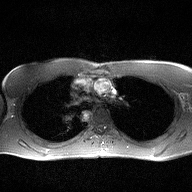
2D phase-contrast cine MRI of the ascending aorta, high-resolution GRAPPA acquisition.